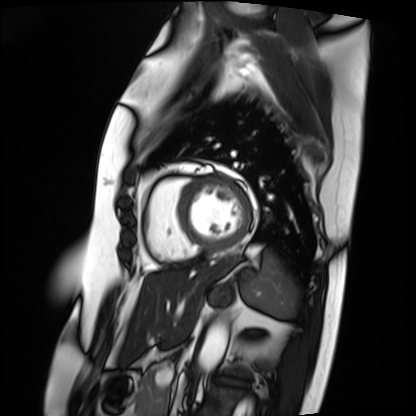
Cardiac MRI.
Subject group: patient.